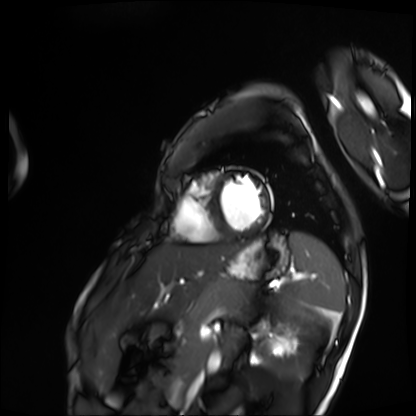
| field | value |
|---|---|
| modality | cardiac MRI |
| subject group | patient |